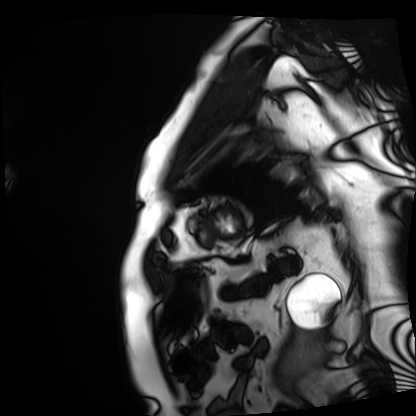
modality=cardiac MRI
subject group=patient